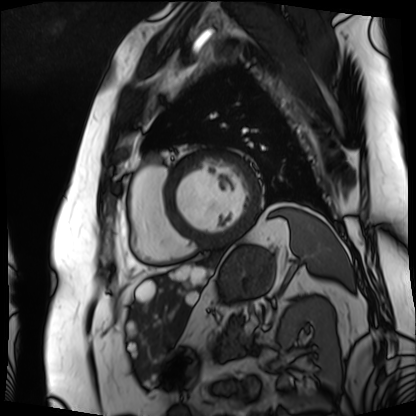
Summary:
Cardiac MRI. Subject group: patient.